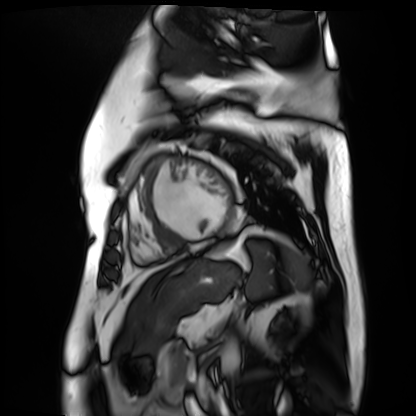
modality = cardiac MR image of the myocardium; subject cohort = cardiac patient.